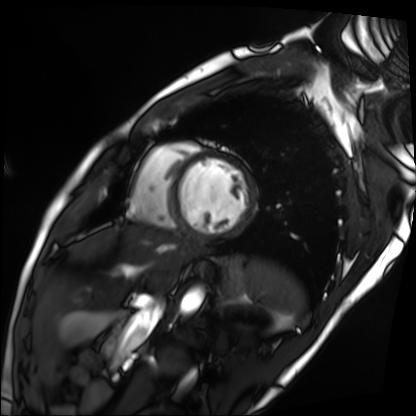
<record>
  <modality>cardiac MRI</modality>
  <cohort>patient</cohort>
</record>